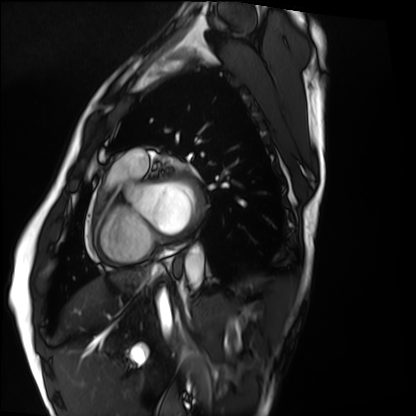
Cardiac MRI. Subject group: healthy volunteer.